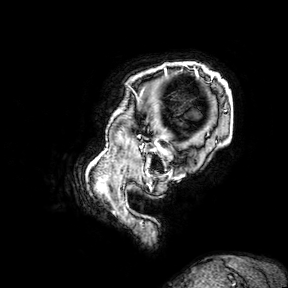
3 Tesla brain MRI. Study: ring-enhancing brain masses.